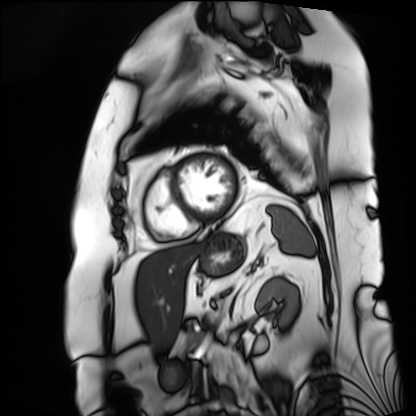
Cardiac MRI.
Subject group: patient.